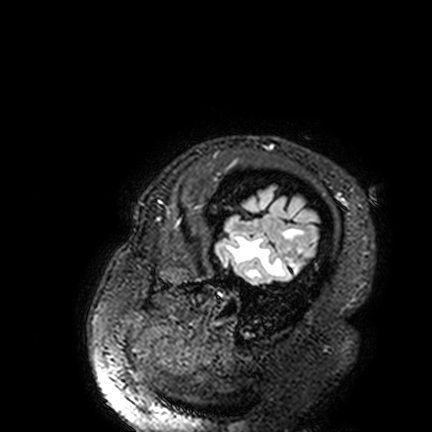
• modality — 3 Tesla brain MRI
• series — FLAIR VISTA
• study — ring-enhancing brain masses